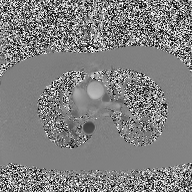
Q: What kind of scan is this?
A: 2D phase-contrast cine MRI of the ascending aorta.